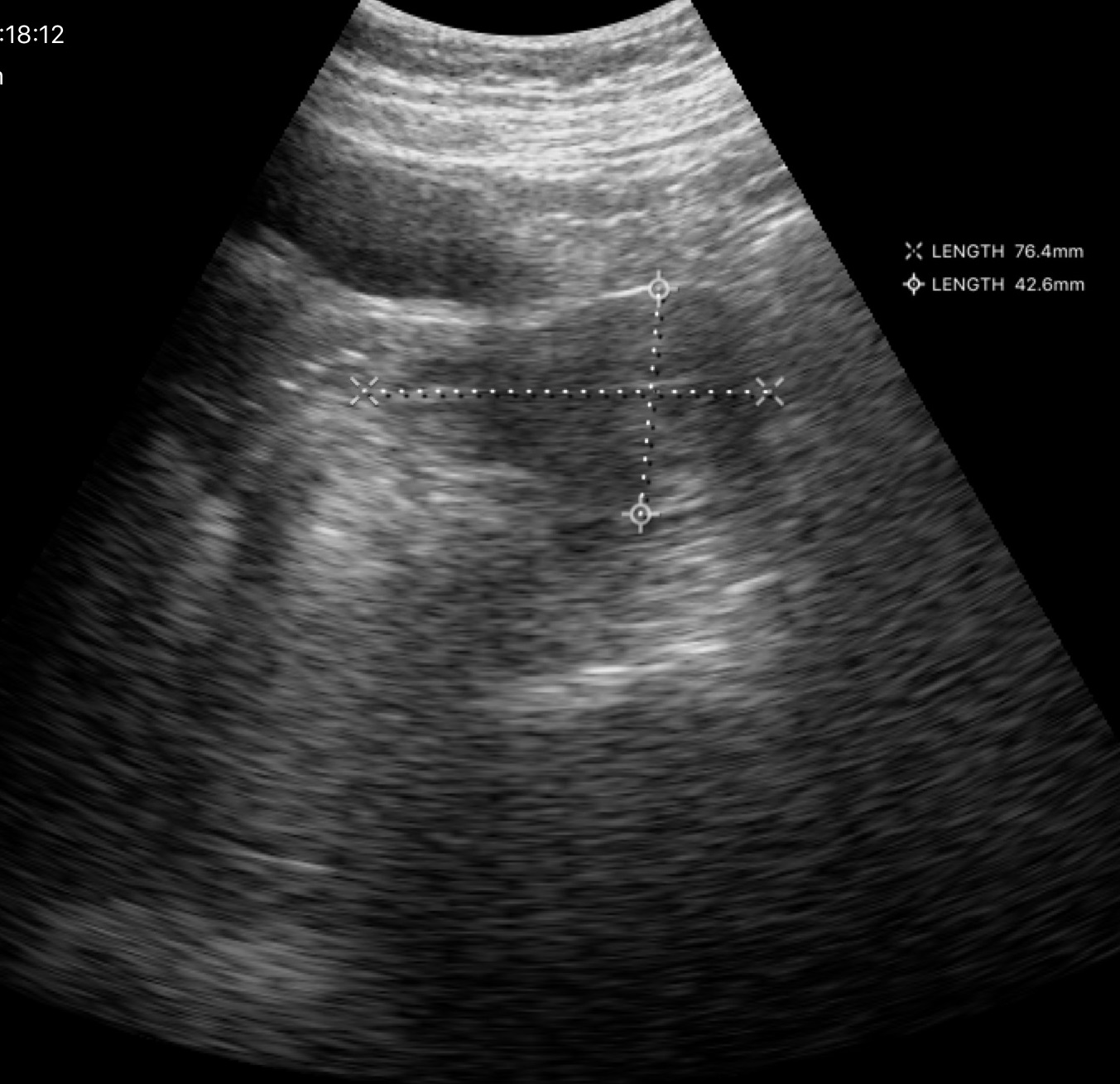
Clinical context:
Genitourinary ultrasound.